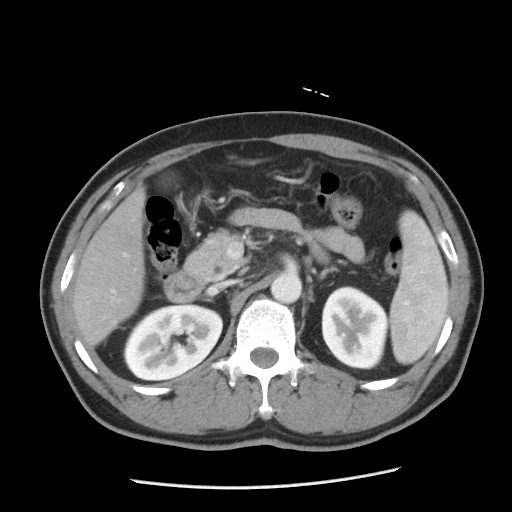
| field | value |
|---|---|
| modality | multiphase abdominal CT, liver, portal venous phase |
| patient | male, age 51 |
| history | cirrhosis, viral hepatitis |